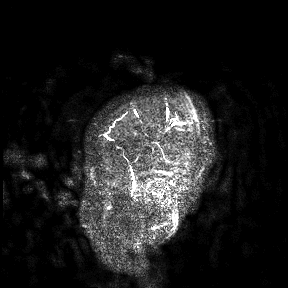
<scan>
  <modality>
    <type>brain MRI</type>
    <field_strength>3T</field_strength>
  </modality>
  <study_topic>ring-enhancing brain masses</study_topic>
</scan>